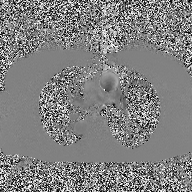
– modality — 2D phase-contrast cine MRI of the ascending aorta